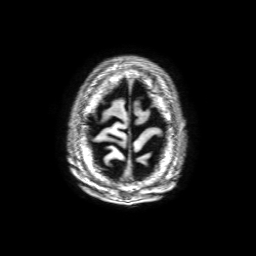
Clinical context: 3 Tesla brain MRI. Series: 3D T1-weighted with SENSE. Study: ring-enhancing brain masses.